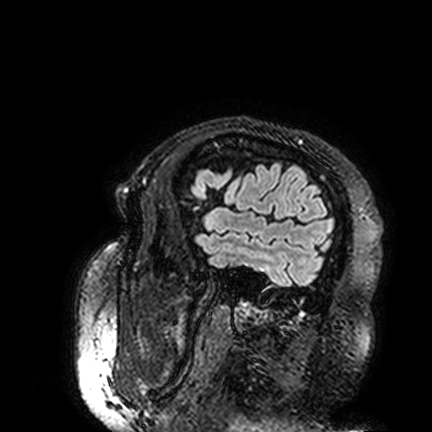
* modality — 3 Tesla brain MRI
* series — FLAIR VISTA
* study — ring-enhancing brain masses